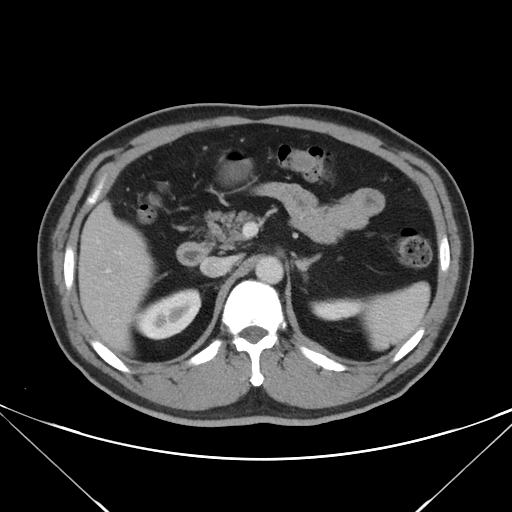
Multiphase abdominal CT, liver, portal venous phase.
Patient: male, age 50.